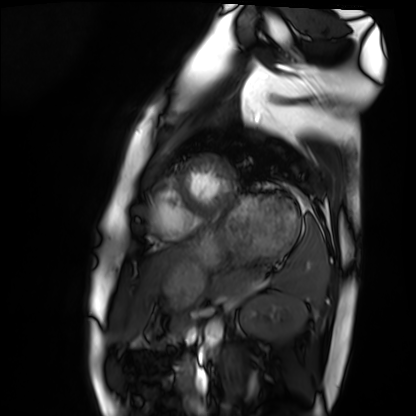
Q: What kind of scan is this?
A: Cardiac MRI.
Subject group: healthy volunteer.